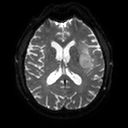
3 Tesla brain MRI. Series: diffusion tensor imaging (medium iso). Study: ring-enhancing brain masses.